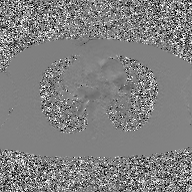
| field | value |
|---|---|
| modality | 2D phase-contrast cine MRI of the ascending aorta, GAN super-resolution reconstruction |